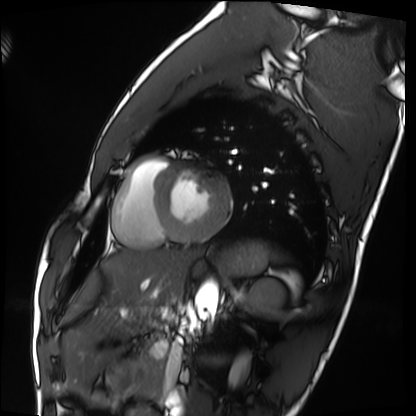
<record>
  <modality>cardiac MRI</modality>
  <cohort>healthy volunteer</cohort>
</record>